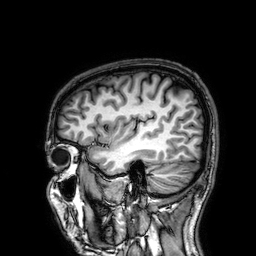
Case summary: 3 Tesla brain MRI. Series: 3D T1-weighted. Study: ring-enhancing brain masses.